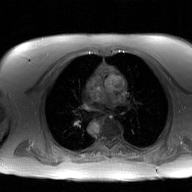
<record>
  <modality>
    <type>2D phase-contrast cine MRI</type>
    <region>ascending aorta</region>
    <reconstruction>GAN super-resolution reconstruction</reconstruction>
  </modality>
</record>